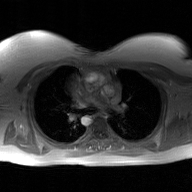
<scan>
  <modality>
    <type>2D phase-contrast cine MRI</type>
    <region>ascending aorta</region>
    <reconstruction>GAN super-resolution reconstruction</reconstruction>
  </modality>
</scan>